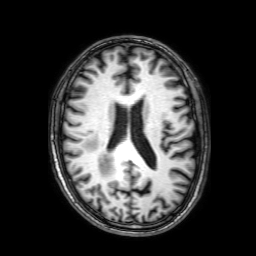
3 Tesla brain MRI.
Series: 3D T1-weighted with SENSE.
Study: ring-enhancing brain masses.